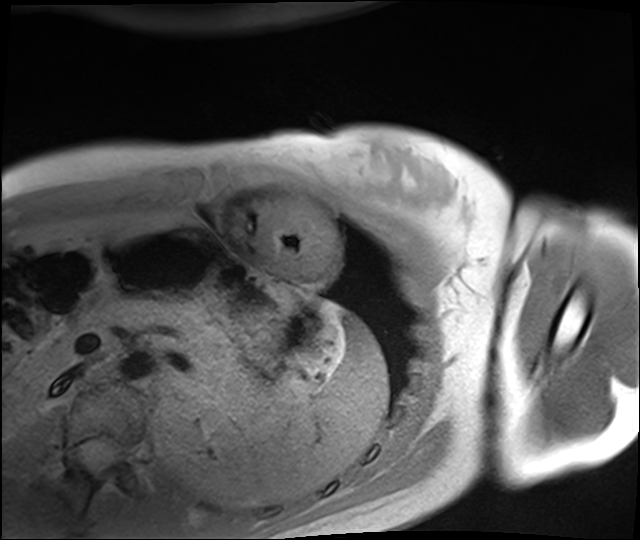
  modality: cardiac MRI
  cohort: healthy volunteer